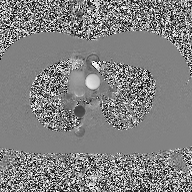
• modality: 2D phase-contrast cine MRI of the ascending aorta